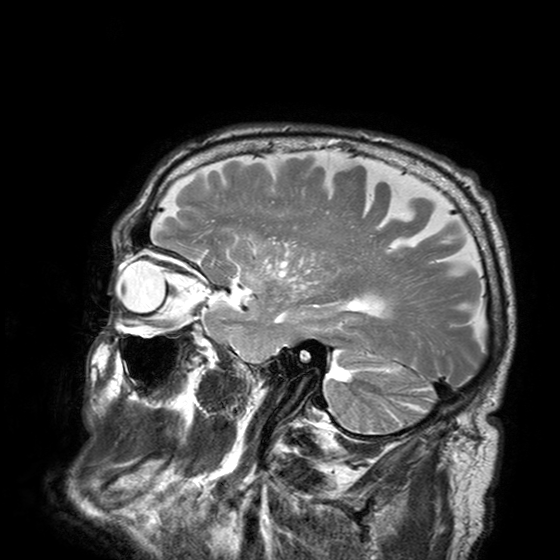
modality = 3 Tesla brain MRI | series = T2-weighted turbo spin echo with SENSE | study = ring-enhancing brain masses.